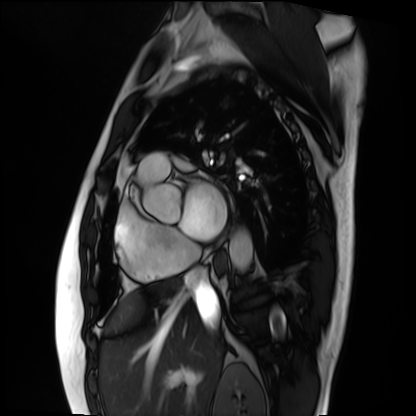
{"modality": "cardiac MRI", "cohort": "patient"}